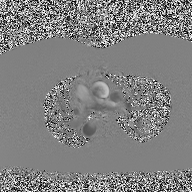
2D phase-contrast cine MRI of the ascending aorta, high-resolution GRAPPA acquisition.